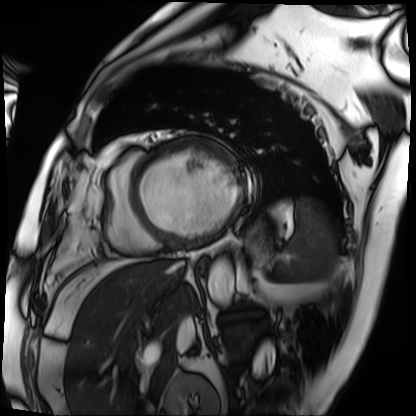
modality = cardiac MRI | subject group = patient.